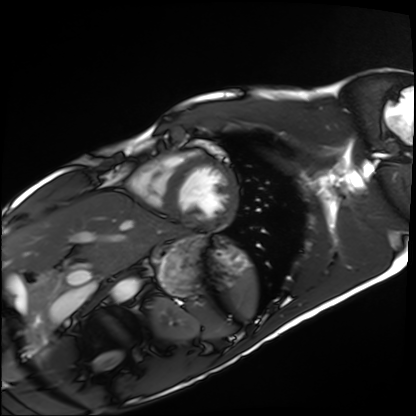
Case:
– modality: cardiac MRI
– subject group: healthy volunteer